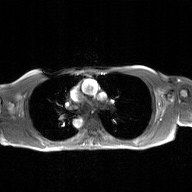
2D phase-contrast cine MRI of the ascending aorta, GAN super-resolution reconstruction.